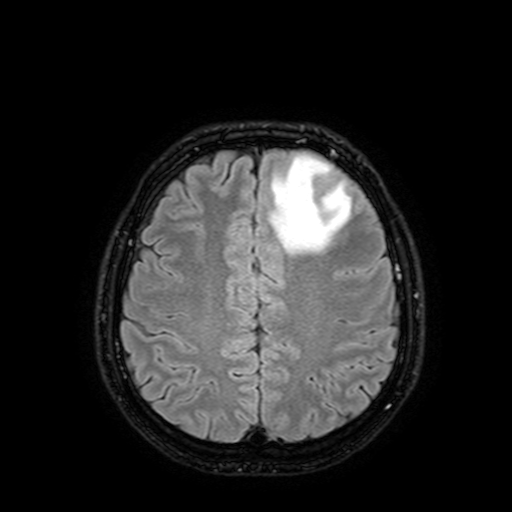
modality=3 Tesla brain MRI
series=FLAIR with SPAIR, 3 mm
study=ring-enhancing brain masses